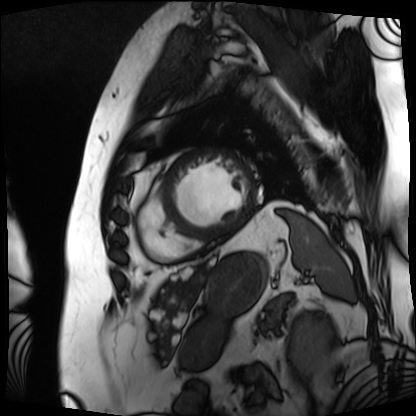
Clinical context:
Cardiac MRI. Subject group: patient.